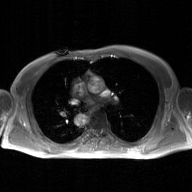
2D phase-contrast cine MRI of the ascending aorta, GAN super-resolution reconstruction.